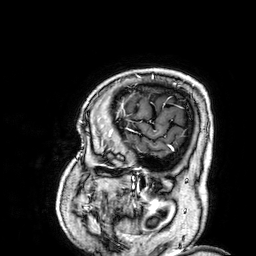
3 Tesla brain MRI.
Series: 3D T1-weighted.
Study: ring-enhancing brain masses.